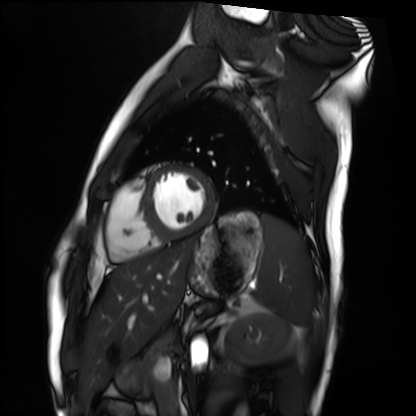
Cardiac MRI.
Subject group: healthy volunteer.